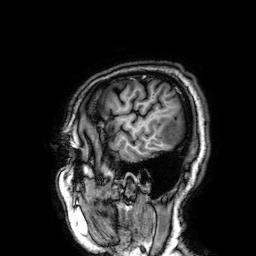
modality: 3 Tesla brain MRI
series: 3D T1-weighted
study: ring-enhancing brain masses